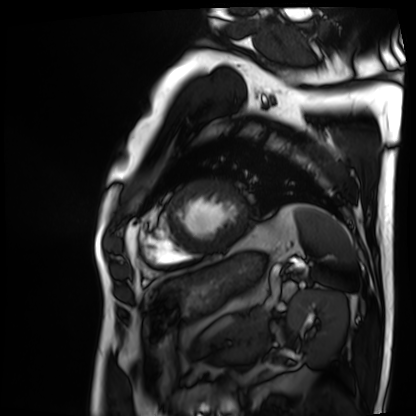
modality: cardiac MRI
subject group: patient